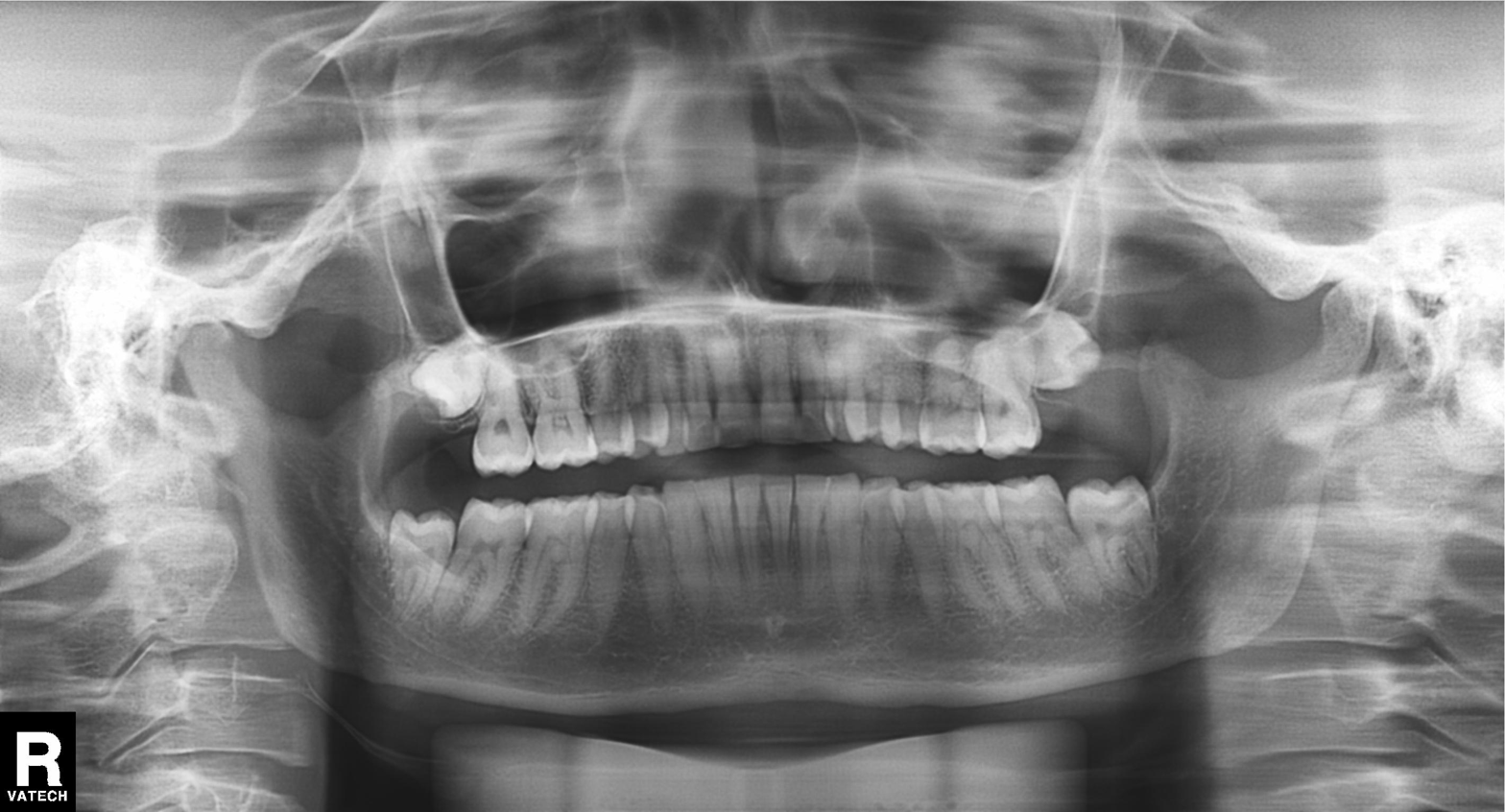
{"modality": "panoramic dental radiograph (orthopantomogram)", "finding": "tooth impaction"}